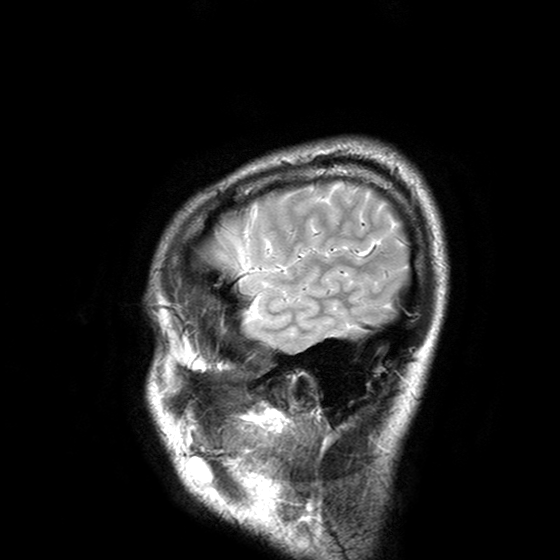
Clinical context: 3 Tesla brain MRI. Series: T2-weighted turbo spin echo with SENSE. Study: ring-enhancing brain masses.